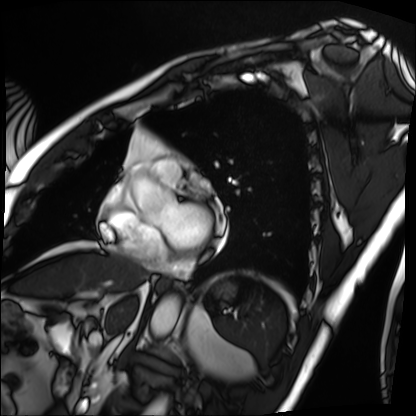
Cardiac MRI.
Subject group: patient.